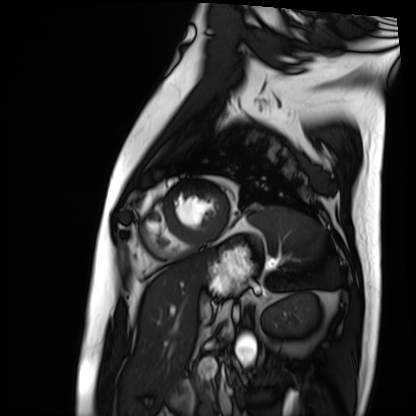
Cardiac MRI.
Subject group: patient.